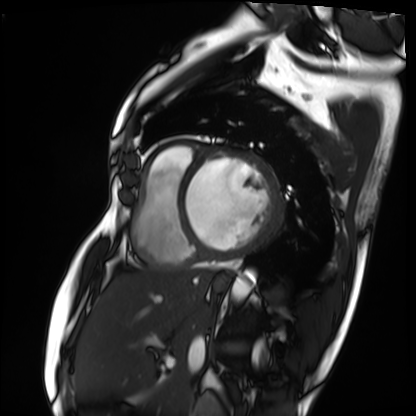
modality = cardiac MRI, subject group = patient.